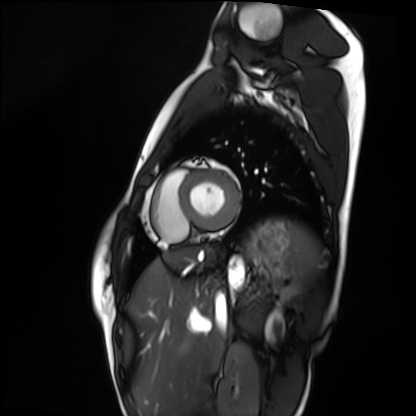
Cardiac MRI. Subject group: healthy volunteer.